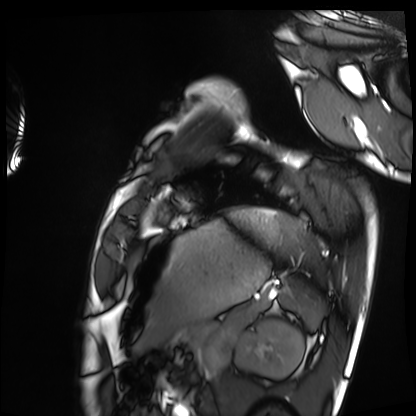
Cardiac MRI. Subject group: healthy volunteer.